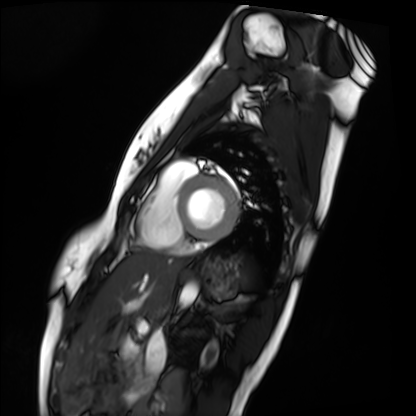
Cardiac MRI. Subject group: healthy volunteer.